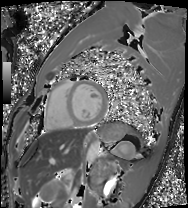
Summary:
Cardiac MRI. Subject group: healthy volunteer.